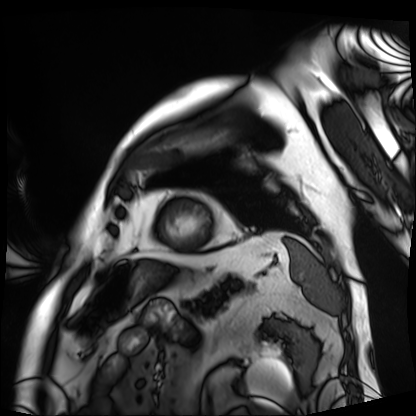
Clinical context:
Cardiac MRI. Subject group: patient.